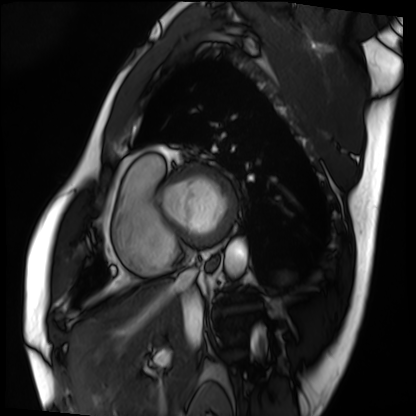
Cardiac MRI. Subject group: patient.